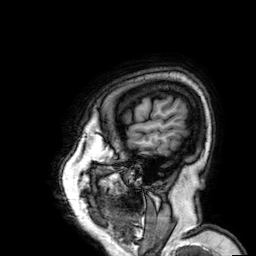
3 Tesla brain MRI. Series: 3D T1-weighted. Study: ring-enhancing brain masses.